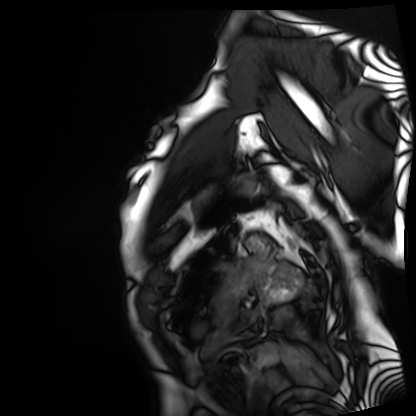
Summary:
Cardiac MRI. Subject group: patient.